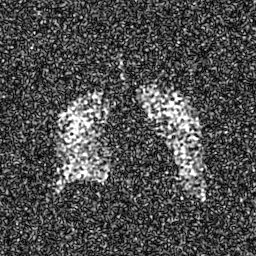
{"modality": "hyperpolarized 129Xe ventilation MRI of the lungs", "snr_level": "7 of 8 (the deposit holds this scan as its native image and as seven SNR-degraded versions)"}